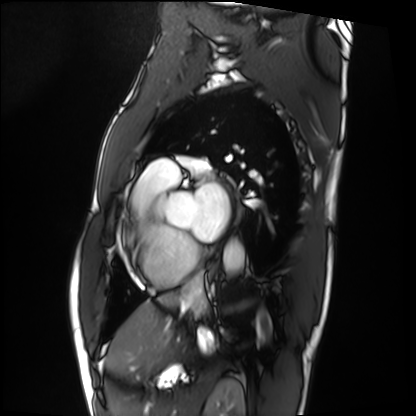
Cardiac MRI. Subject group: patient.